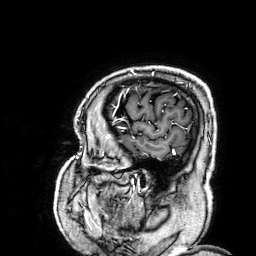
Case summary: 3 Tesla brain MRI. Series: 3D T1-weighted. Study: ring-enhancing brain masses.